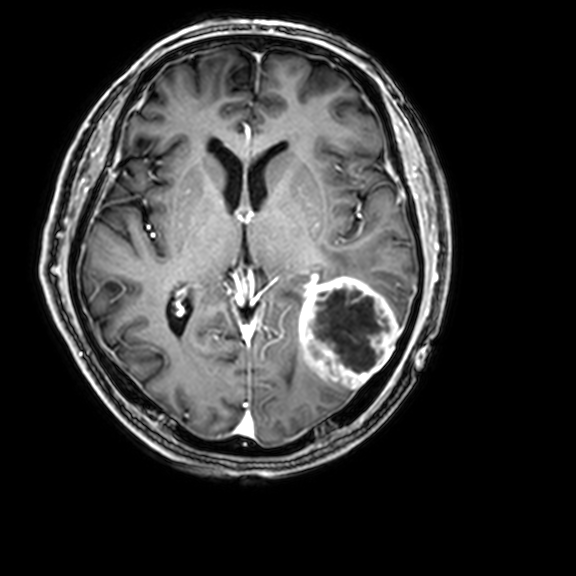
Summary: 3 Tesla brain MRI. Series: 3D T1-weighted with CLEAR. Study: ring-enhancing brain masses.